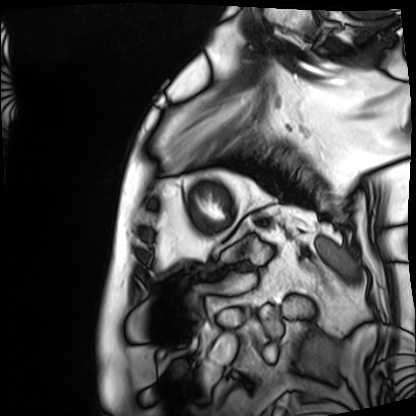
Q: What kind of scan is this?
A: Cardiac MRI.
Subject group: patient.